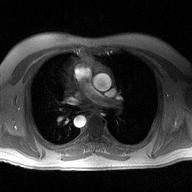
Case summary: 2D phase-contrast cine MRI of the ascending aorta, high-resolution GRAPPA acquisition.